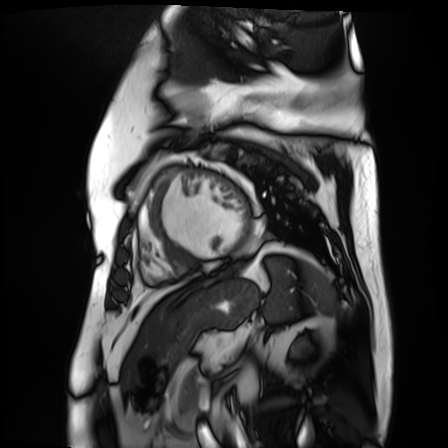
Cardiac MR image of the myocardium. Subject cohort: cardiac patient.